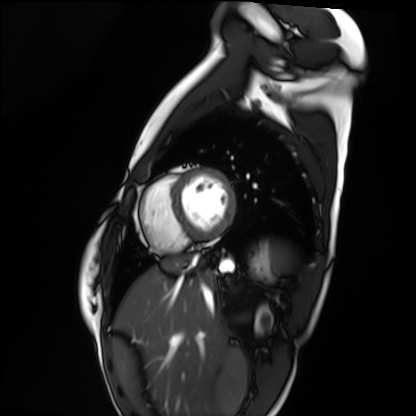
<scan>
  <modality>cardiac MRI</modality>
  <cohort>healthy volunteer</cohort>
</scan>